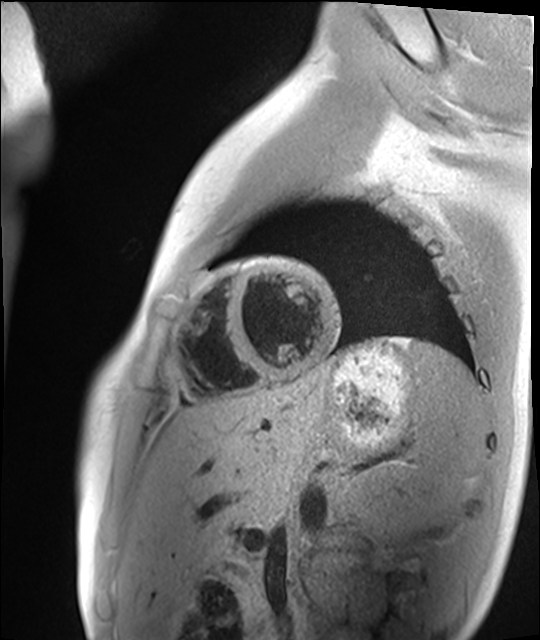
– modality: cardiac MR image of the myocardium
– subject cohort: healthy volunteer